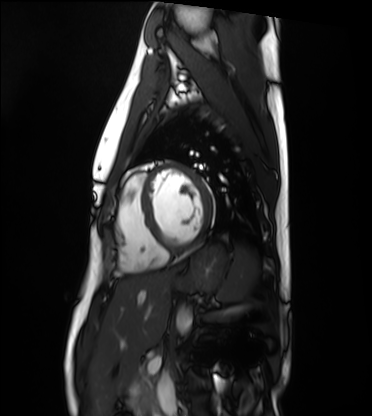
| field | value |
|---|---|
| modality | cardiac MRI |
| subject group | healthy volunteer |